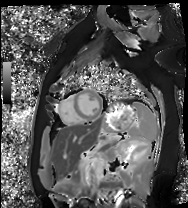
Case summary:
Cardiac MRI. Subject group: healthy volunteer.